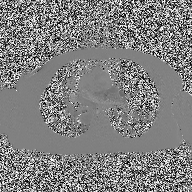
| field | value |
|---|---|
| modality | 2D phase-contrast cine MRI of the ascending aorta |